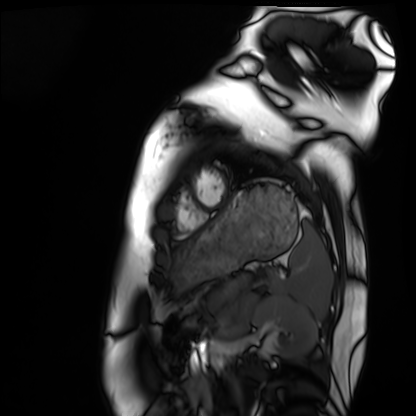
* modality · cardiac MRI
* subject group · healthy volunteer